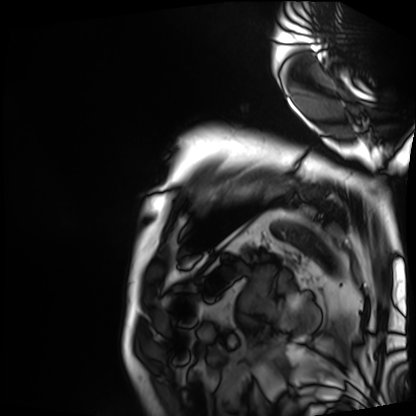
Case:
- modality: cardiac MRI
- subject group: patient